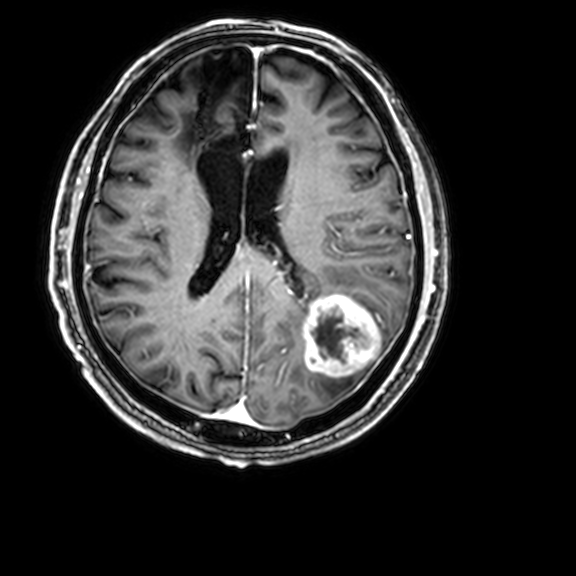
modality: 3 Tesla brain MRI
series: 3D T1-weighted with CLEAR
study: ring-enhancing brain masses